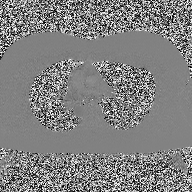
2D phase-contrast cine MRI of the ascending aorta, high-resolution GRAPPA acquisition.